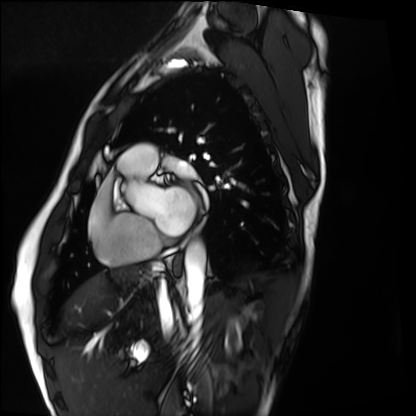
– modality: cardiac MRI
– subject group: healthy volunteer